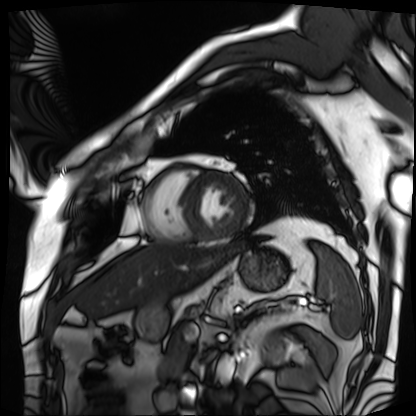
Cardiac MRI.
Subject group: patient.